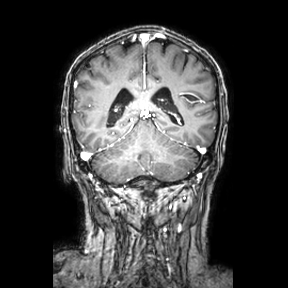
modality: 3 Tesla brain MRI
series: coronal
study: ring-enhancing brain masses